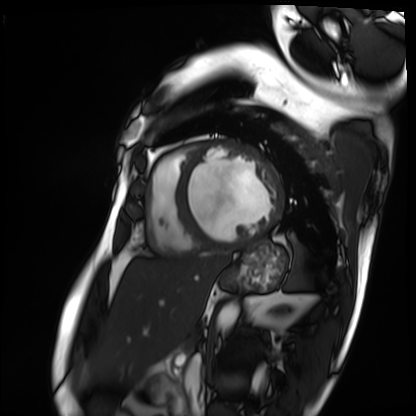
- modality · cardiac MRI
- subject group · patient